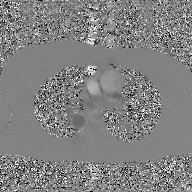
modality = 2D phase-contrast cine MRI of the ascending aorta, GAN super-resolution reconstruction